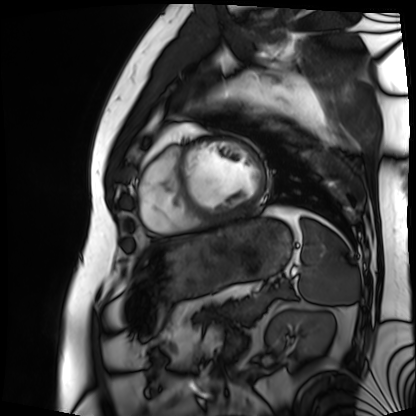
Cardiac MRI.
Subject group: patient.